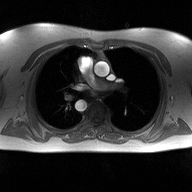
2D phase-contrast cine MRI of the ascending aorta, high-resolution GRAPPA acquisition.